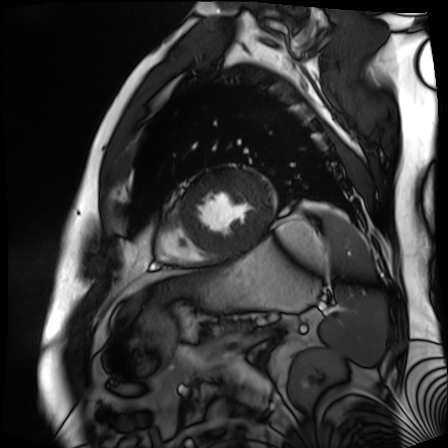
Cardiac MR image of the myocardium. Subject cohort: cardiac patient.